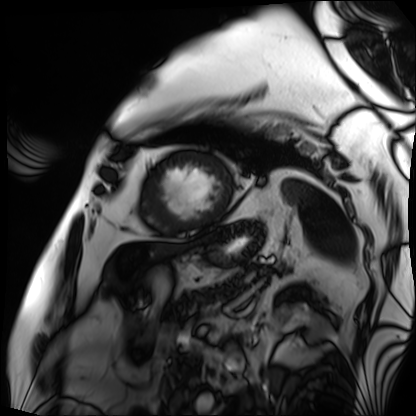
Cardiac MRI. Subject group: patient.